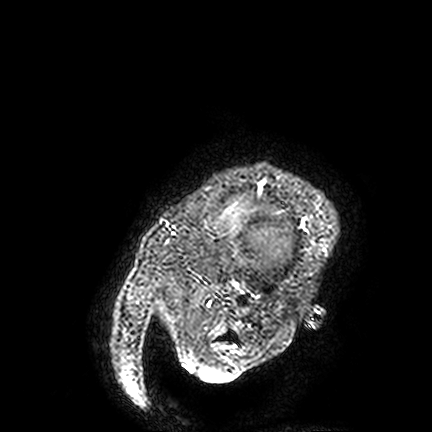
3 Tesla brain MRI. Series: FLAIR VISTA. Study: ring-enhancing brain masses.